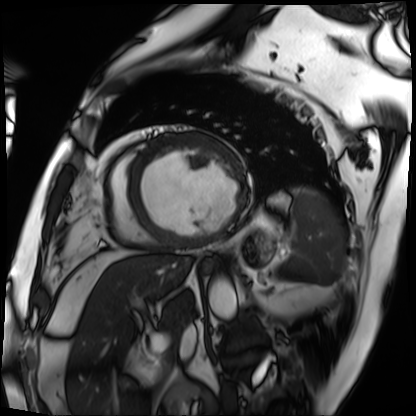
Case:
* modality — cardiac MRI
* subject group — patient